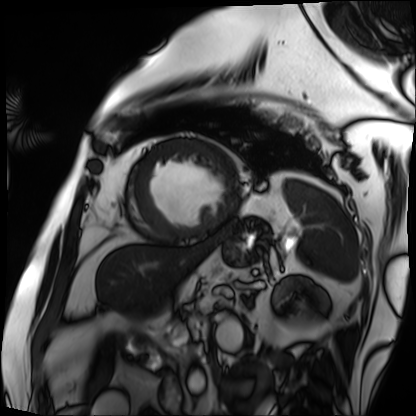
Q: What kind of scan is this?
A: Cardiac MRI.
Subject group: patient.